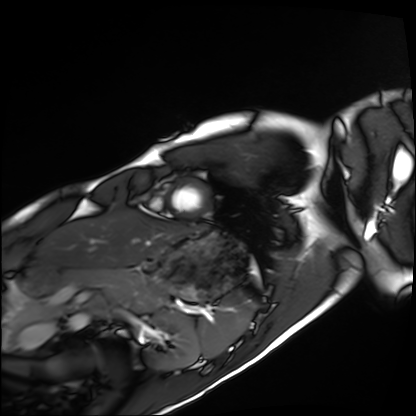
Summary: Cardiac MRI. Subject group: healthy volunteer.